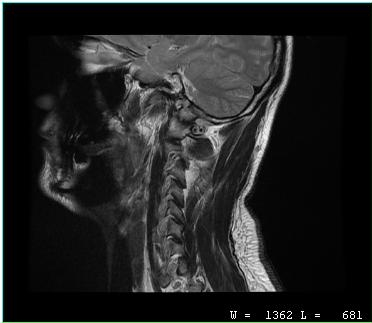
MRI of the cervical spine.
Study: cervical spondylosis.